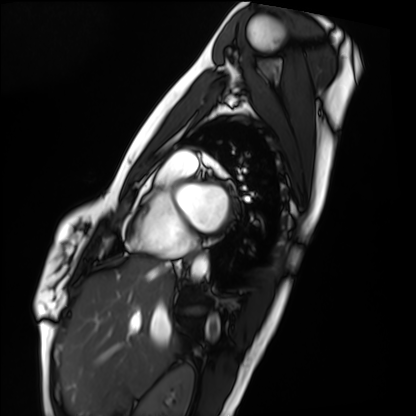
modality=cardiac MRI; subject group=healthy volunteer.